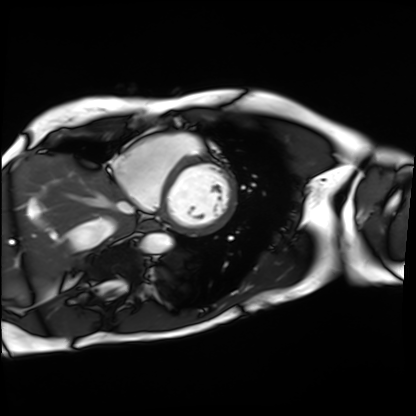
{
  "modality": "cardiac MRI",
  "cohort": "patient"
}